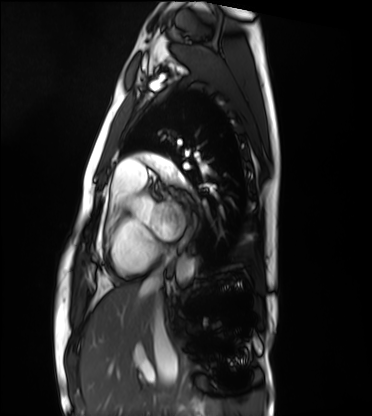
- modality · cardiac MRI
- subject group · healthy volunteer